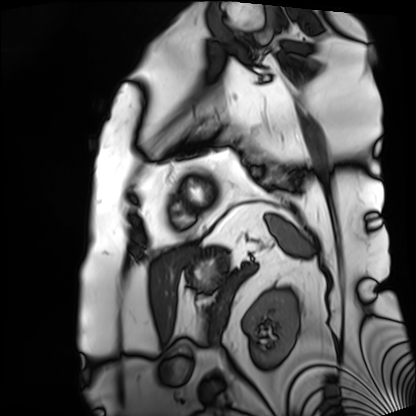
modality = cardiac MRI; subject group = patient.